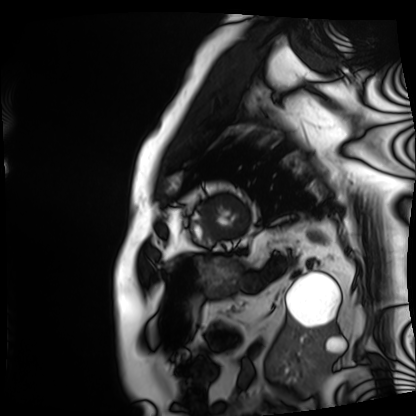
modality — cardiac MRI; subject group — patient.